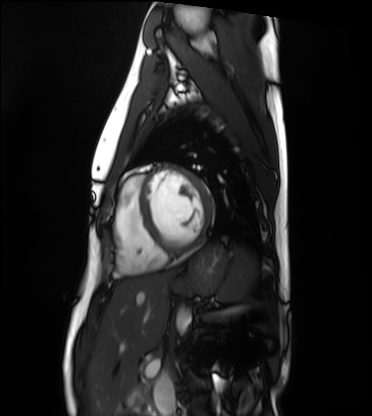
Summary:
Cardiac MRI. Subject group: healthy volunteer.